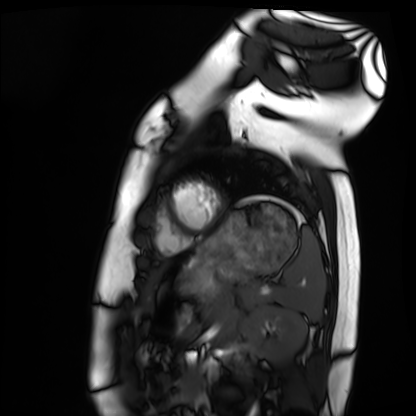
Cardiac MRI.
Subject group: healthy volunteer.